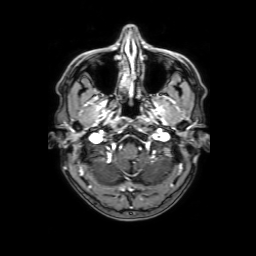
modality:
  type: brain MRI
  field_strength: 3T
study_topic: ring-enhancing brain masses